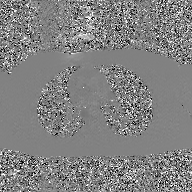
Q: What kind of scan is this?
A: 2D phase-contrast cine MRI of the ascending aorta, GAN super-resolution reconstruction.